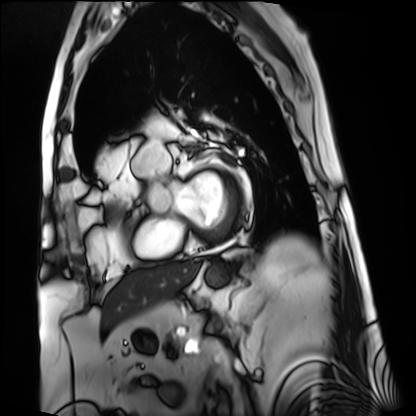
Q: What kind of scan is this?
A: Cardiac MRI.
Subject group: patient.